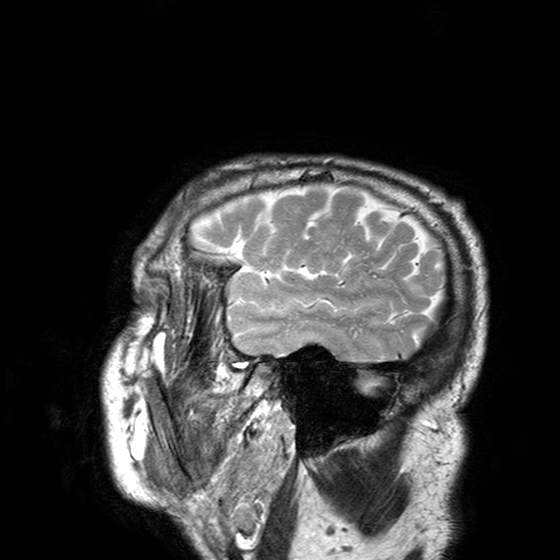
3 Tesla brain MRI. Series: T2-weighted turbo spin echo with SENSE. Study: ring-enhancing brain masses.